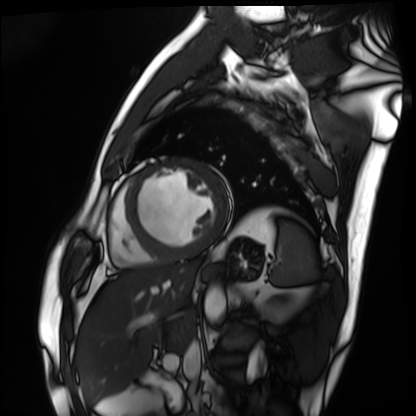
Summary:
Cardiac MRI. Subject group: patient.